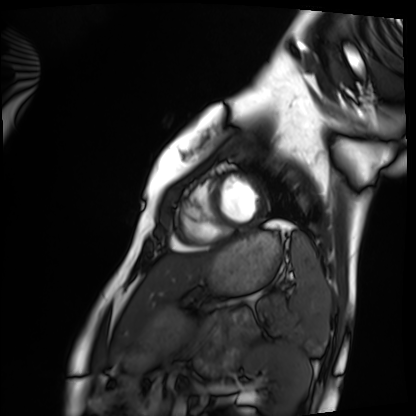
modality: cardiac MRI, subject group: healthy volunteer.